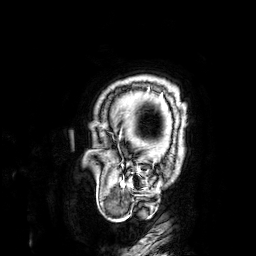
3 Tesla brain MRI. Series: 3D T1-weighted. Study: ring-enhancing brain masses.